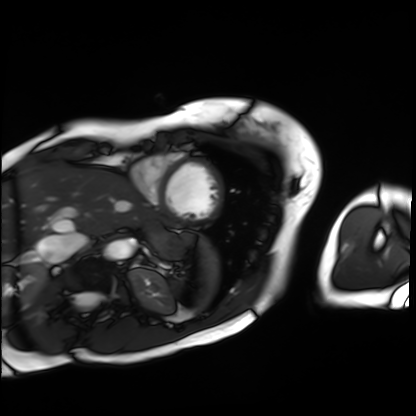
* modality · cardiac MRI
* subject group · patient